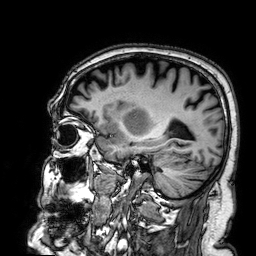
Q: What kind of scan is this?
A: 3 Tesla brain MRI.
Q: Series?
A: 3D T1-weighted.
Study: ring-enhancing brain masses.